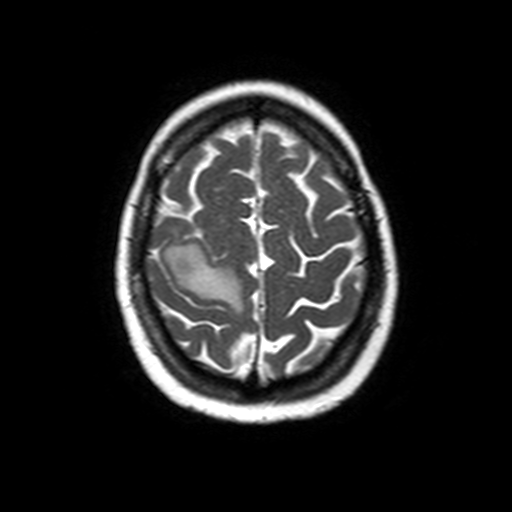
Q: What kind of scan is this?
A: 3 Tesla brain MRI.
Q: Series?
A: Axial T2-weighted turbo spin echo.
Study: ring-enhancing brain masses.